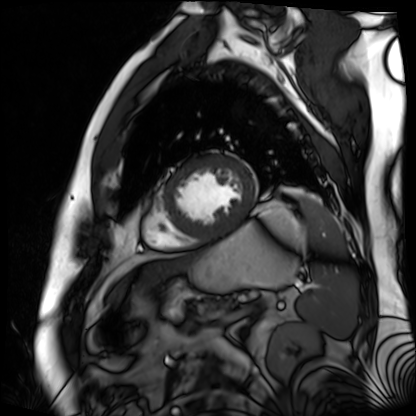
Q: What kind of scan is this?
A: Cardiac MR image of the myocardium.
Subject cohort: cardiac patient.